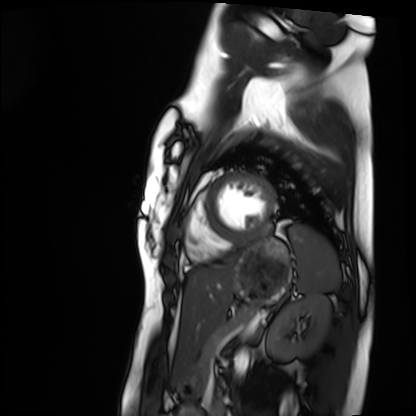
modality: cardiac MRI
cohort: healthy volunteer